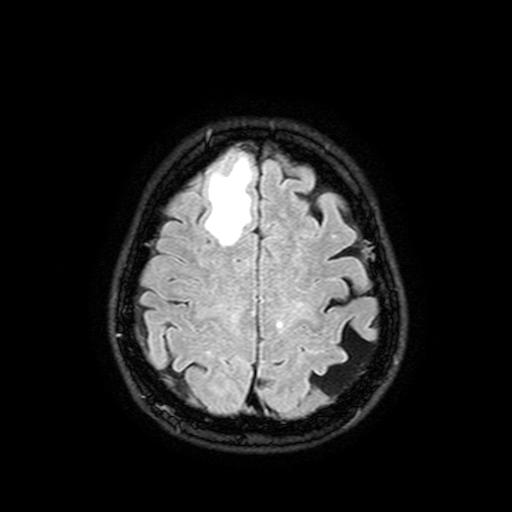
3 Tesla brain MRI. Series: FLAIR with SPAIR, 3 mm. Study: ring-enhancing brain masses.